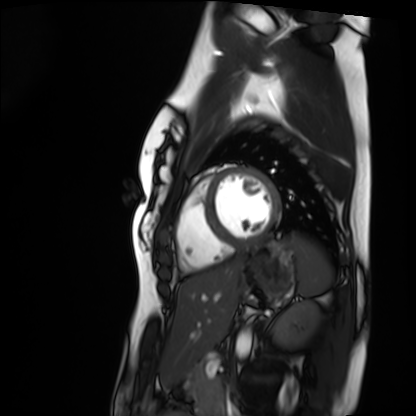
modality: cardiac MRI
cohort: healthy volunteer